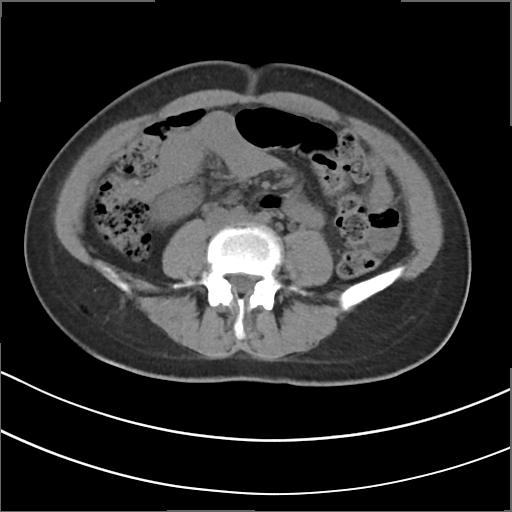
<scan>
  <modality>
    <type>multiphase abdominal CT</type>
    <region>liver</region>
    <phase>non-contrast</phase>
  </modality>
  <patient>
    <sex>female</sex>
    <age>43</age>
  </patient>
  <history>viral hepatitis</history>
</scan>